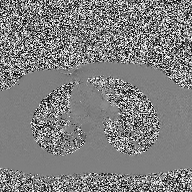
– modality · 2D phase-contrast cine MRI of the ascending aorta